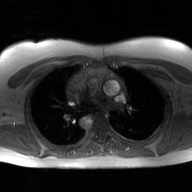
Clinical context: 2D phase-contrast cine MRI of the ascending aorta, GAN super-resolution reconstruction.